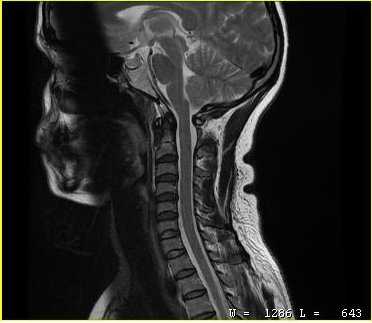
MRI of the cervical spine. Study: cervical spondylosis.